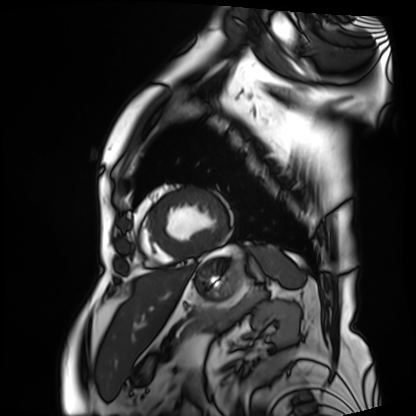
Cardiac MRI. Subject group: patient.